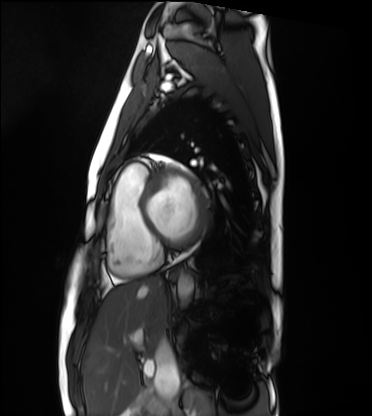
Cardiac MRI.
Subject group: healthy volunteer.